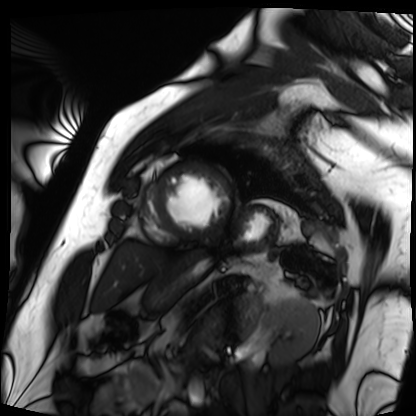
Cardiac MRI. Subject group: patient.